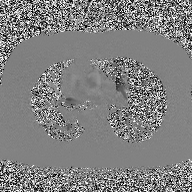
| field | value |
|---|---|
| modality | 2D phase-contrast cine MRI of the ascending aorta |